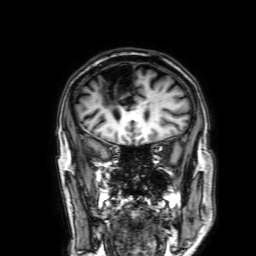
modality = 3 Tesla brain MRI | series = 3D T1-weighted with SENSE | study = ring-enhancing brain masses.